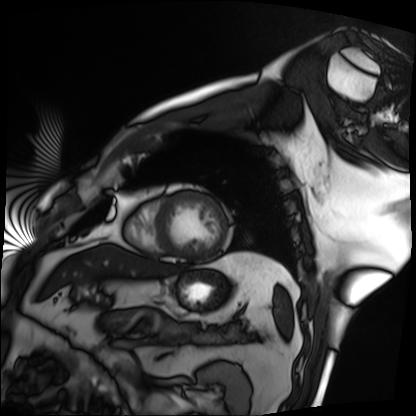
{
  "modality": "cardiac MRI",
  "cohort": "patient"
}